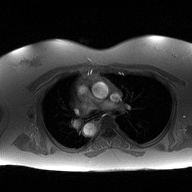
Q: What kind of scan is this?
A: 2D phase-contrast cine MRI of the ascending aorta.